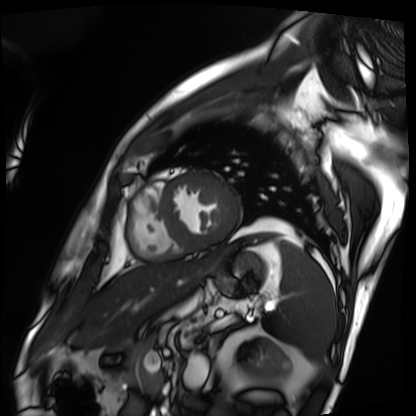
Cardiac MRI.
Subject group: patient.